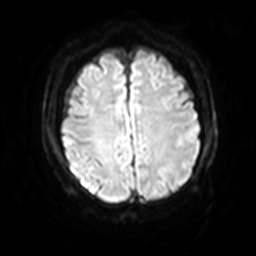
{"modality": {"type": "brain MRI", "field_strength": "3T"}, "series": "diffusion-weighted imaging with SENSE (WIP)", "study_topic": "ring-enhancing brain masses"}